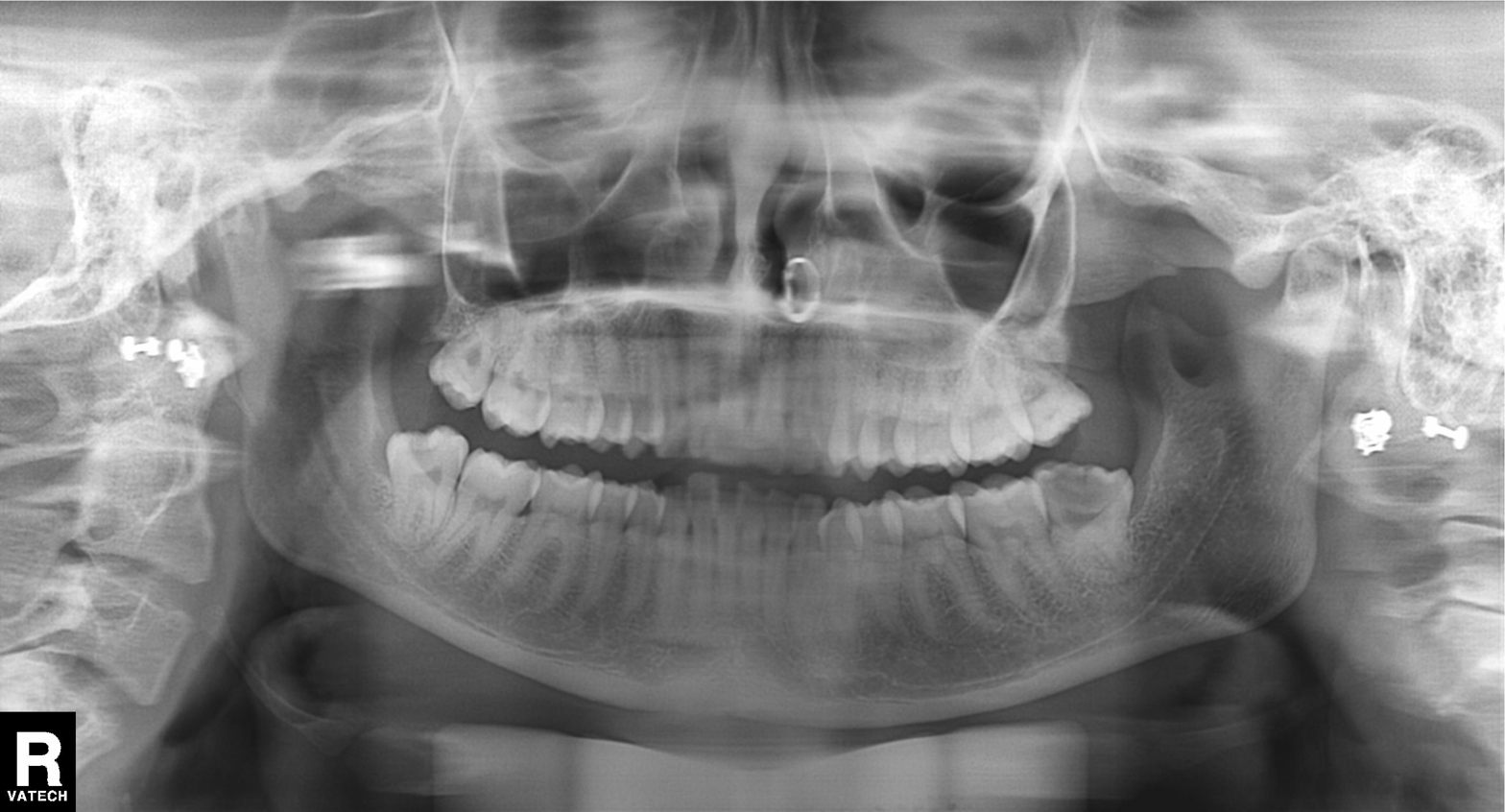
modality: panoramic dental radiograph (orthopantomogram) | finding: dental caries (cavities).